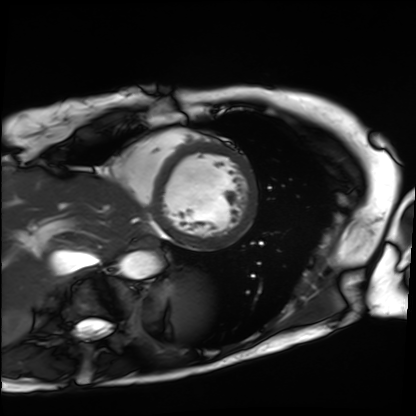
Cardiac MRI.
Subject group: patient.